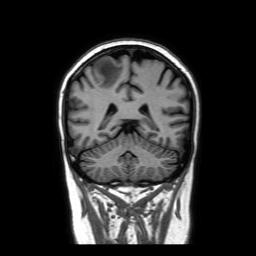
<case>
<modality>
  <type>brain MRI</type>
  <field_strength>3T</field_strength>
</modality>
<series>coronal without contrast</series>
<study_topic>ring-enhancing brain masses</study_topic>
</case>